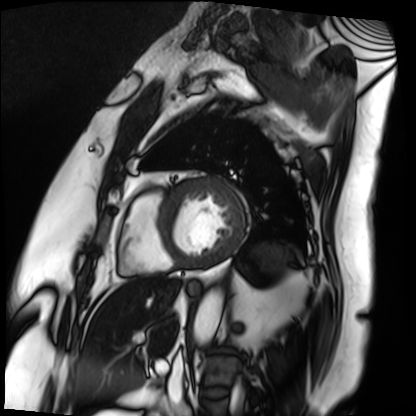
– modality · cardiac MRI
– subject group · patient